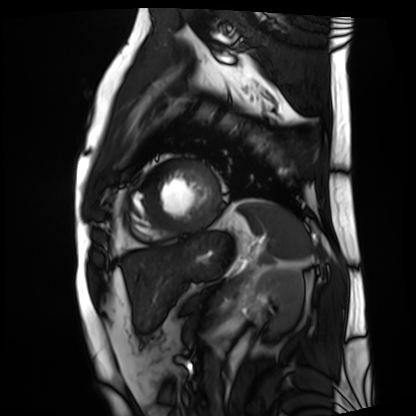
Cardiac MRI. Subject group: patient.